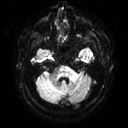
• modality — 3 Tesla brain MRI
• series — diffusion tensor imaging (medium iso)
• study — ring-enhancing brain masses